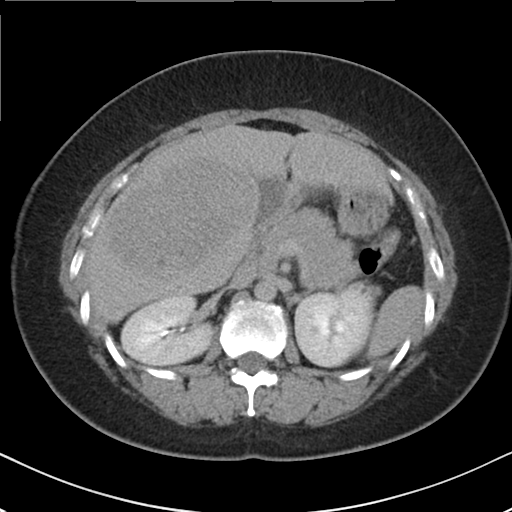
Multiphase abdominal CT, liver, delayed phase. Patient: female, age 36.